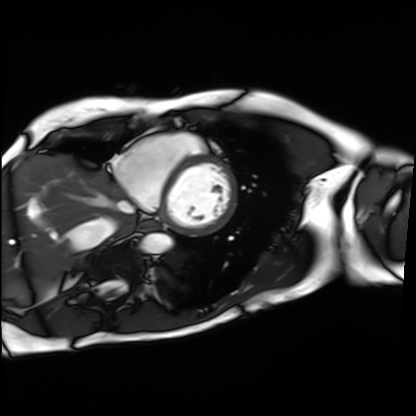
Cardiac MRI. Subject group: patient.